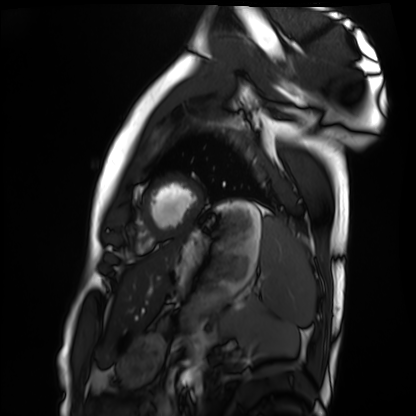
{"modality": "cardiac MRI", "cohort": "healthy volunteer"}